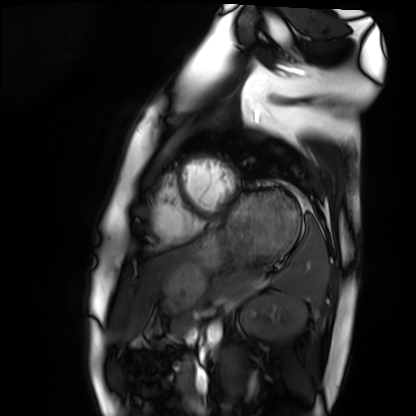
* modality — cardiac MRI
* subject group — healthy volunteer